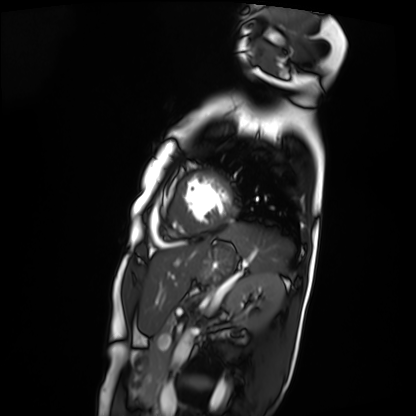
Cardiac MRI.
Subject group: patient.